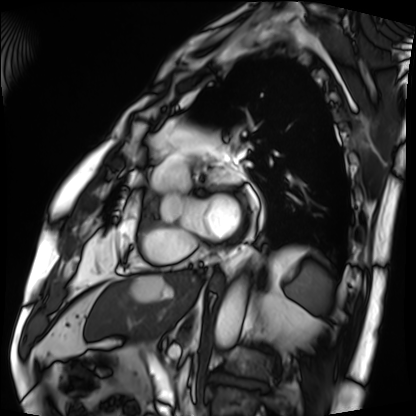
Cardiac MRI.
Subject group: patient.